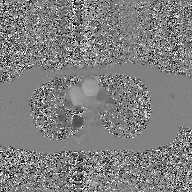
2D phase-contrast cine MRI of the ascending aorta, GAN super-resolution reconstruction.